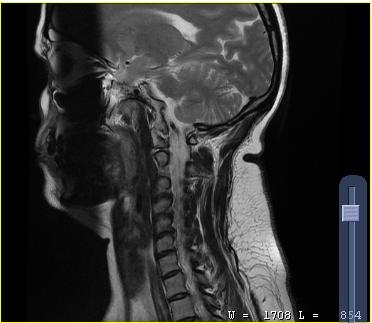
MRI of the cervical spine. Study: cervical spondylosis.